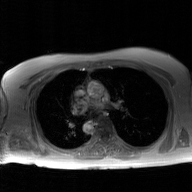
modality = 2D phase-contrast cine MRI of the ascending aorta, GAN super-resolution reconstruction.